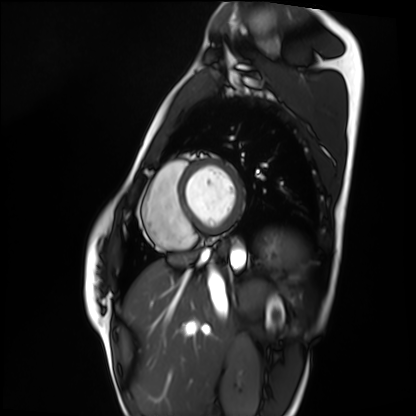
| field | value |
|---|---|
| modality | cardiac MRI |
| subject group | healthy volunteer |